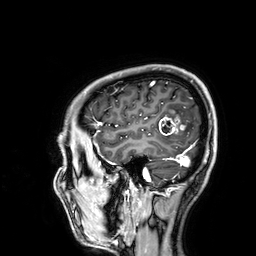
Summary: 3 Tesla brain MRI. Series: 3D T1-weighted. Study: ring-enhancing brain masses.